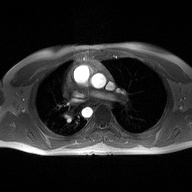
modality: 2D phase-contrast cine MRI of the ascending aorta.